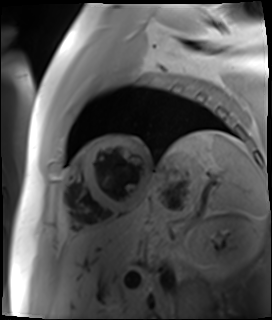
Summary:
Cardiac MR image of the myocardium. Subject cohort: cardiac patient.